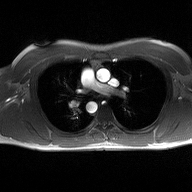
2D phase-contrast cine MRI of the ascending aorta, high-resolution GRAPPA acquisition.